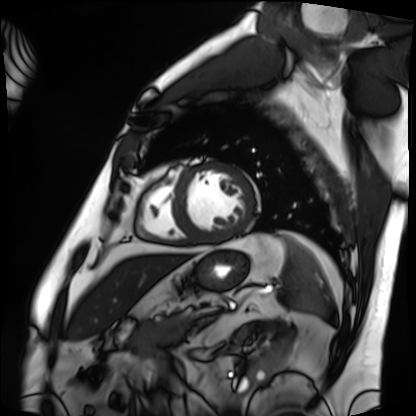
Cardiac MRI. Subject group: patient.